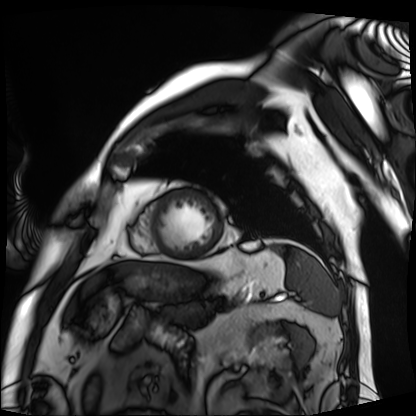
Case summary: Cardiac MRI. Subject group: patient.